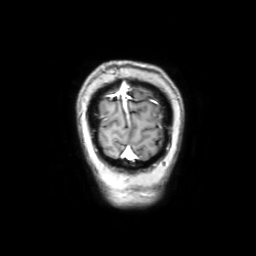
3 Tesla brain MRI. Series: coronal with contrast. Study: ring-enhancing brain masses.